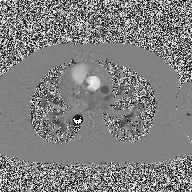
Summary: 2D phase-contrast cine MRI of the ascending aorta, high-resolution GRAPPA acquisition.